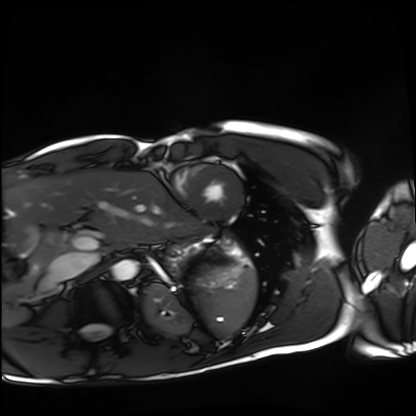
modality: cardiac MRI; subject group: healthy volunteer.